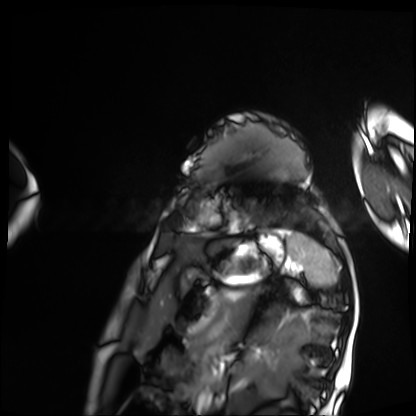
  modality: cardiac MRI
  cohort: patient